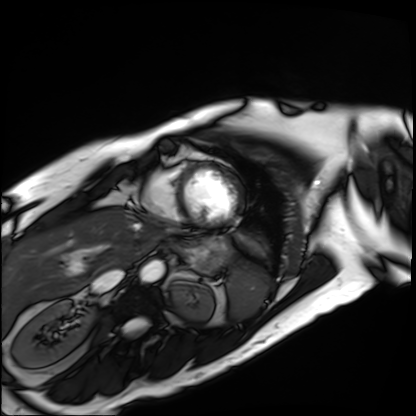
<scan>
  <modality>cardiac MRI</modality>
  <cohort>patient</cohort>
</scan>